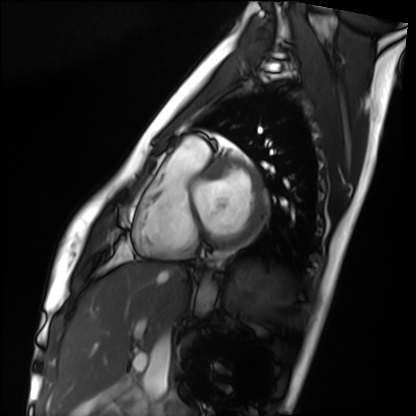
Clinical context: Cardiac MRI. Subject group: healthy volunteer.